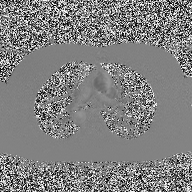
Summary:
2D phase-contrast cine MRI of the ascending aorta, high-resolution GRAPPA acquisition.